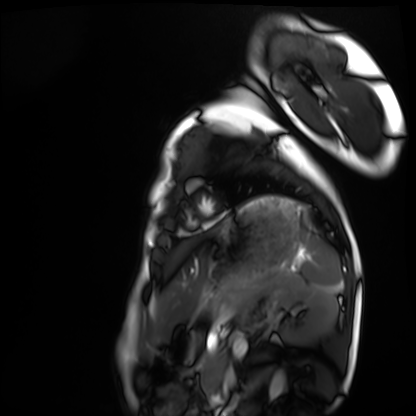
Summary:
Cardiac MRI. Subject group: healthy volunteer.